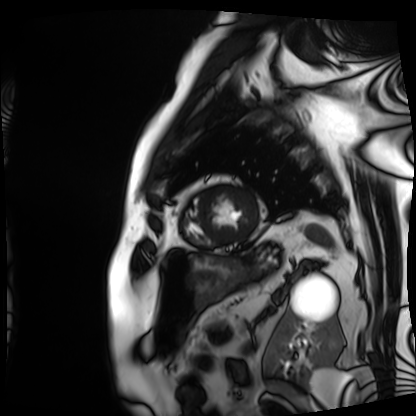
Case summary: Cardiac MRI. Subject group: patient.